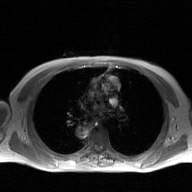
2D phase-contrast cine MRI of the ascending aorta, GAN super-resolution reconstruction.